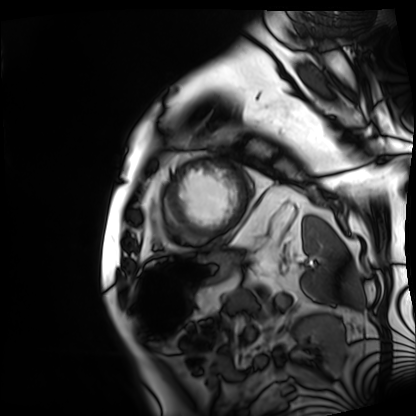
modality = cardiac MRI | subject group = patient.